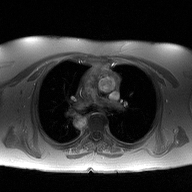
Summary: 2D phase-contrast cine MRI of the ascending aorta, high-resolution GRAPPA acquisition.